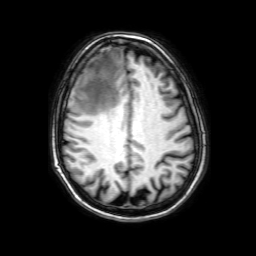
3 Tesla brain MRI. Series: 3D T1-weighted with SENSE. Study: ring-enhancing brain masses.